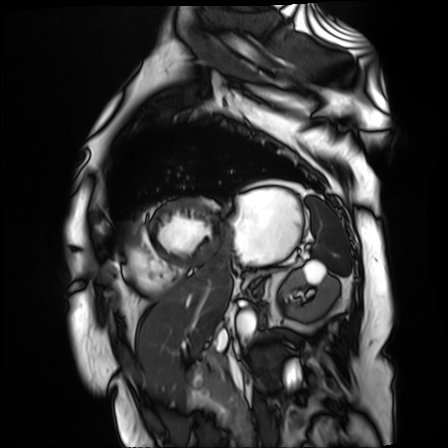
modality=cardiac MR image of the myocardium
subject cohort=cardiac patient